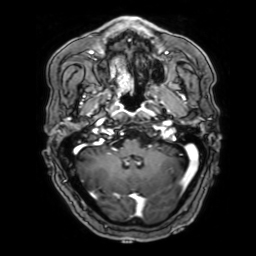
Q: What kind of scan is this?
A: 3 Tesla brain MRI.
Q: Series?
A: 3D T1-weighted with SENSE.
Study: ring-enhancing brain masses.